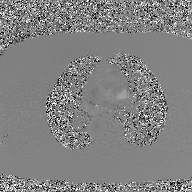
modality: 2D phase-contrast cine MRI of the ascending aorta, GAN super-resolution reconstruction.